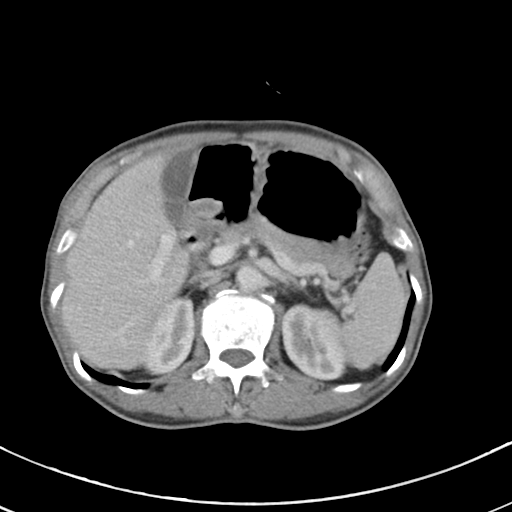
Summary:
Multiphase abdominal CT, liver, portal venous phase.